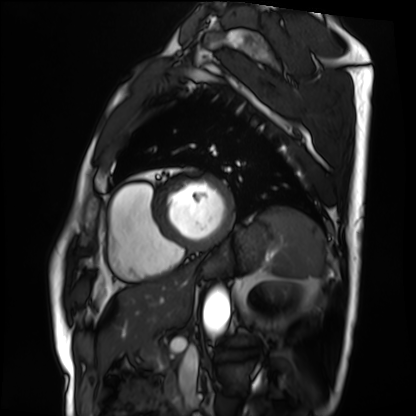
modality: cardiac MRI
cohort: patient